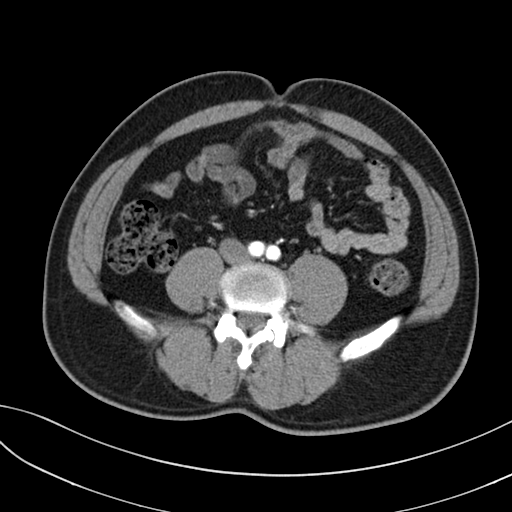
{
  "modality": {
    "type": "multiphase abdominal CT",
    "region": "liver",
    "phase": "arterial"
  },
  "patient": {
    "sex": "male",
    "age": 40
  },
  "history": [
    "prior chemotherapy"
  ]
}